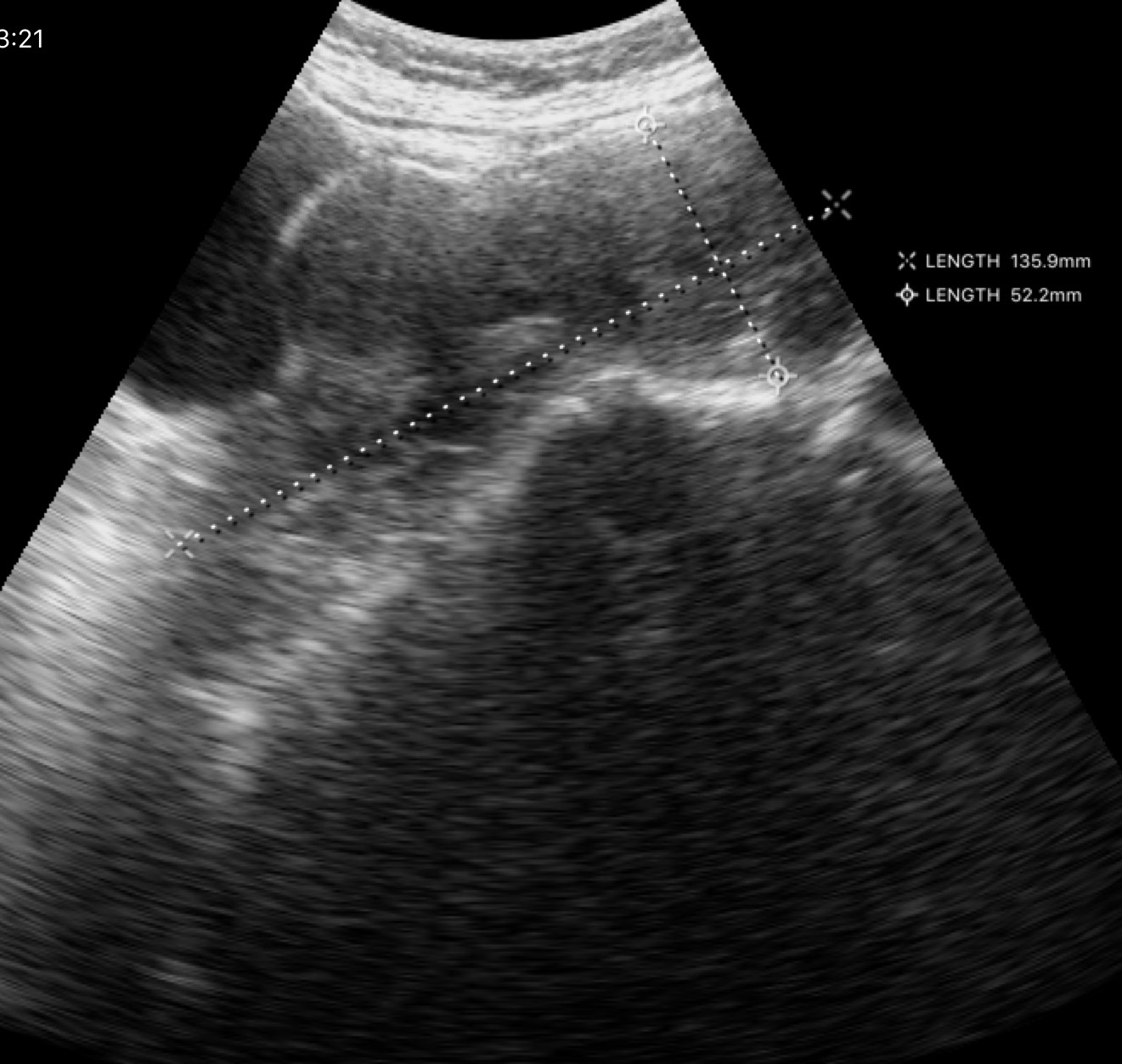
Genitourinary ultrasound.